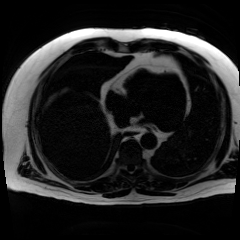
Chemical-shift-encoded cardiac MRI.